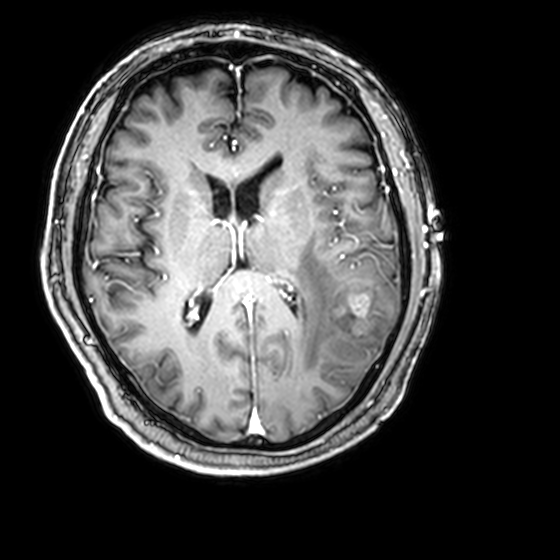
* modality · 3 Tesla brain MRI
* series · 3D T1-weighted with CLEAR
* study · ring-enhancing brain masses